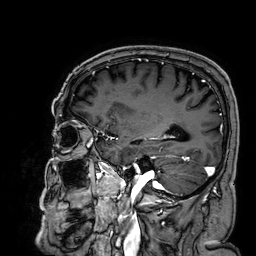
<record>
  <modality>
    <type>brain MRI</type>
    <field_strength>3T</field_strength>
  </modality>
  <series>3D T1-weighted</series>
  <study_topic>ring-enhancing brain masses</study_topic>
</record>